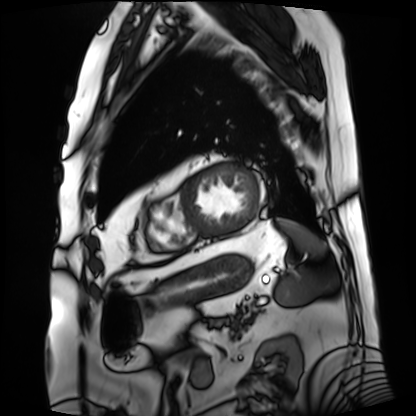
Cardiac MRI. Subject group: patient.